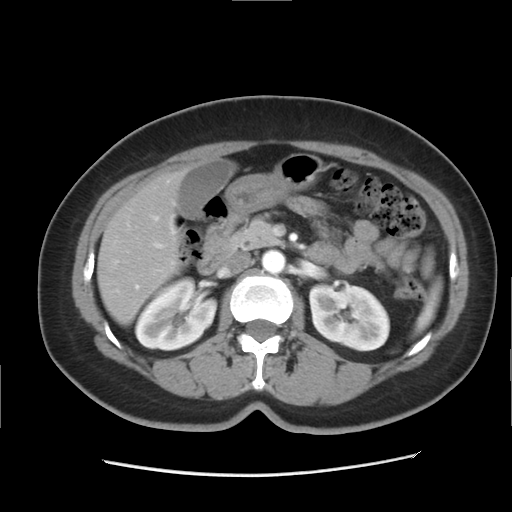
modality: multiphase abdominal CT, liver, arterial phase; patient: female, age 46; history: prior chemotherapy.